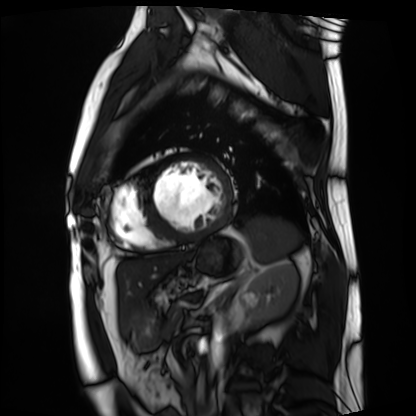
| field | value |
|---|---|
| modality | cardiac MRI |
| subject group | patient |